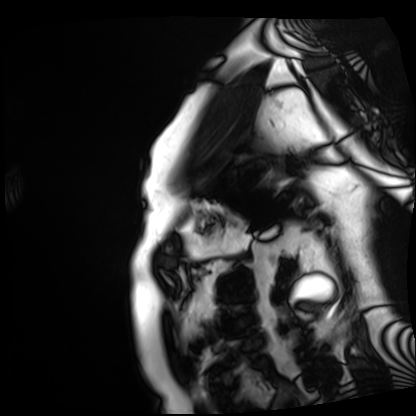
modality = cardiac MRI, subject group = patient.